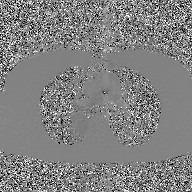
  modality:
    type: 2D phase-contrast cine MRI
    region: ascending aorta
    reconstruction: GAN super-resolution reconstruction